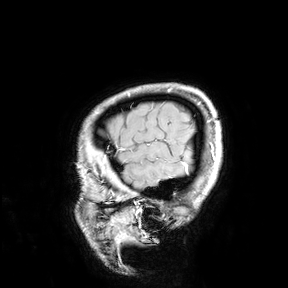
modality: 3 Tesla brain MRI; study: ring-enhancing brain masses.